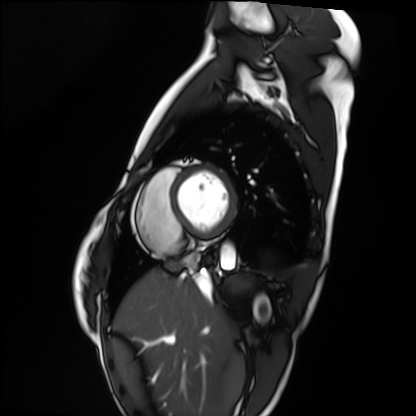
modality: cardiac MRI
subject group: healthy volunteer